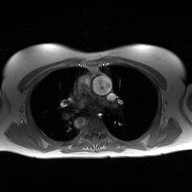
– modality · 2D phase-contrast cine MRI of the ascending aorta